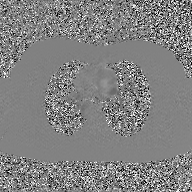
2D phase-contrast cine MRI of the ascending aorta, GAN super-resolution reconstruction.